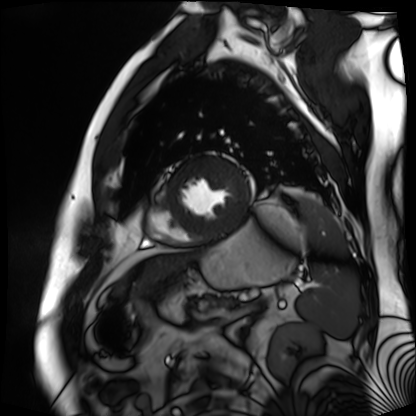
– modality: cardiac MR image of the myocardium
– subject cohort: cardiac patient